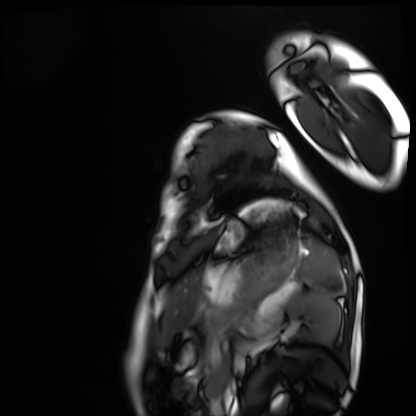
<study>
  <modality>cardiac MRI</modality>
  <cohort>healthy volunteer</cohort>
</study>